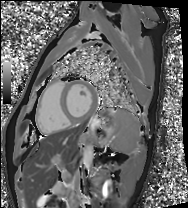
Cardiac MRI.
Subject group: healthy volunteer.